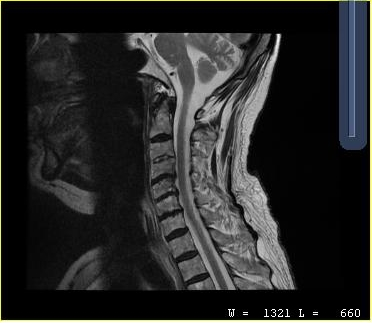
modality — MRI of the cervical spine | study — cervical spondylosis.